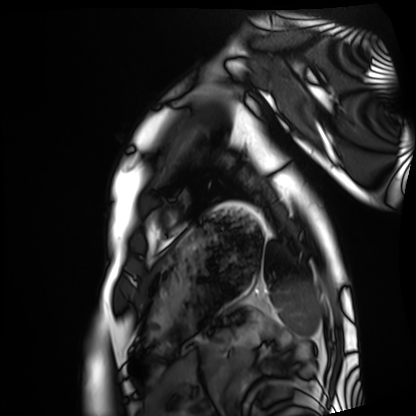
modality=cardiac MRI; subject group=healthy volunteer.